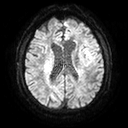
Q: What kind of scan is this?
A: 3 Tesla brain MRI.
Q: Series?
A: Diffusion tensor imaging (medium iso).
Study: ring-enhancing brain masses.